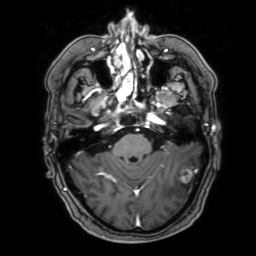
Summary: 3 Tesla brain MRI. Series: 3D T1-weighted with SENSE. Study: ring-enhancing brain masses.